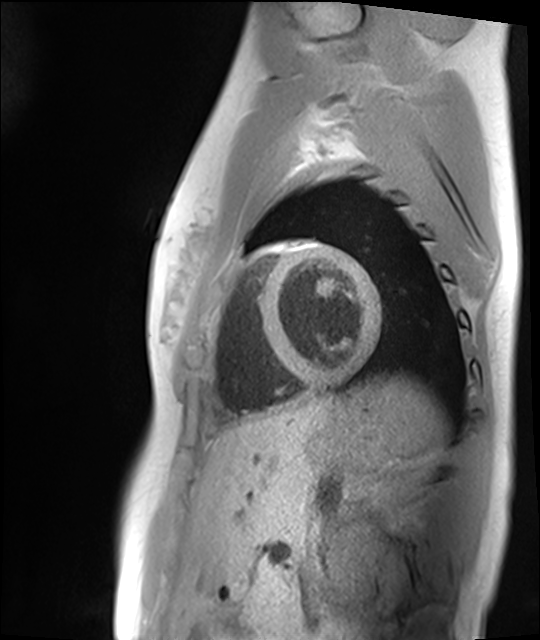
Clinical context:
Cardiac MRI. Subject group: healthy volunteer.